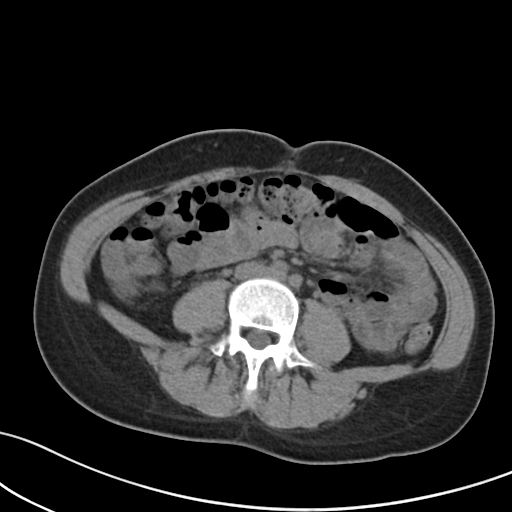
Multiphase abdominal CT, liver, non-contrast phase.
Patient: female, age 37.
History: prior chemotherapy.